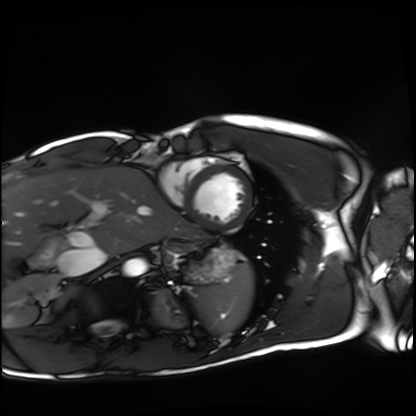
Q: What kind of scan is this?
A: Cardiac MRI.
Subject group: healthy volunteer.